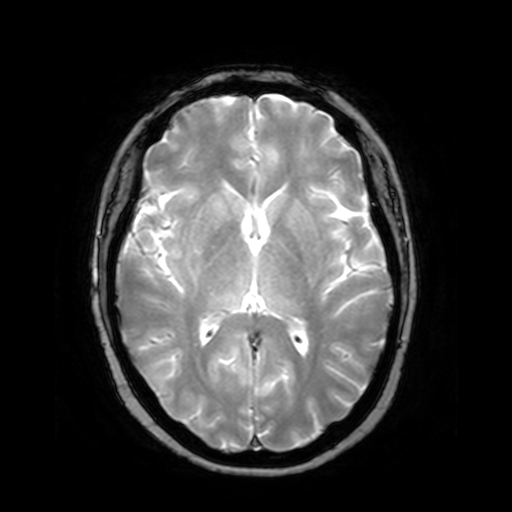
modality: 3 Tesla brain MRI; series: T2-weighted fast field echo; study: ring-enhancing brain masses.